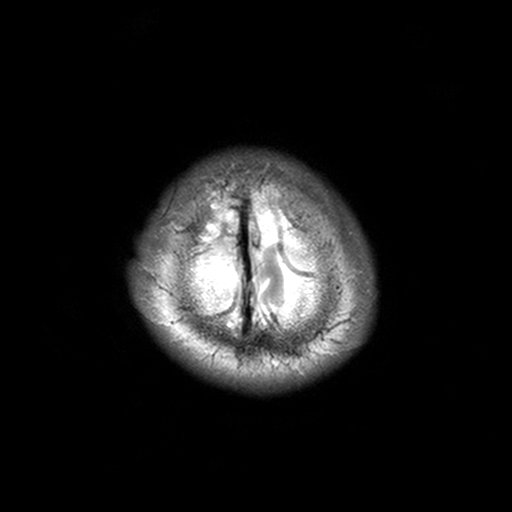
3 Tesla brain MRI. Series: T2-weighted turbo spin echo, 3 mm. Study: ring-enhancing brain masses.